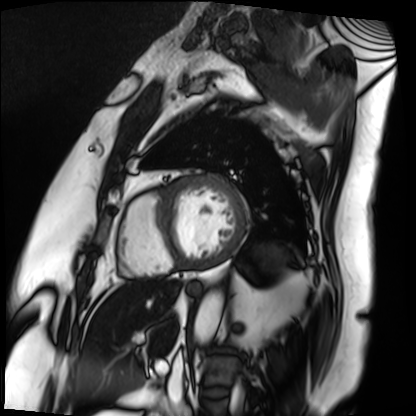
| field | value |
|---|---|
| modality | cardiac MRI |
| subject group | patient |